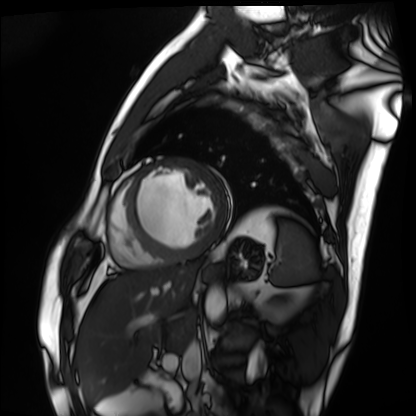
Cardiac MRI. Subject group: patient.